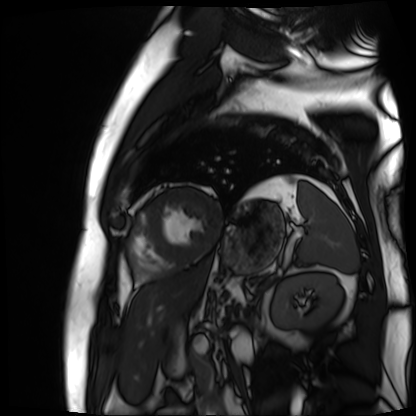
Cardiac MR image of the myocardium. Subject cohort: cardiac patient.